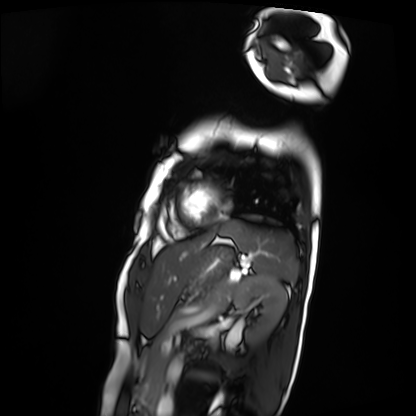
* modality — cardiac MRI
* subject group — patient